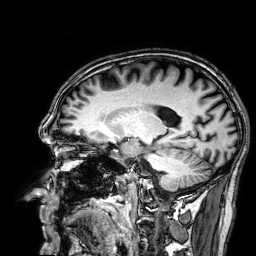
* modality — 3 Tesla brain MRI
* series — 3D T1-weighted
* study — ring-enhancing brain masses